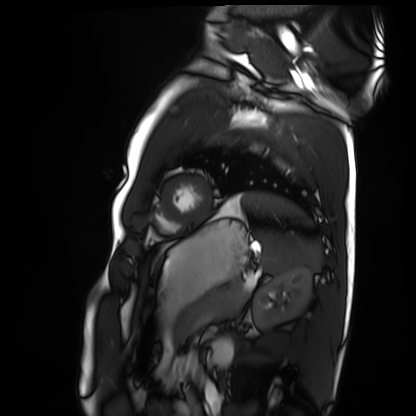
Q: What kind of scan is this?
A: Cardiac MRI.
Subject group: healthy volunteer.